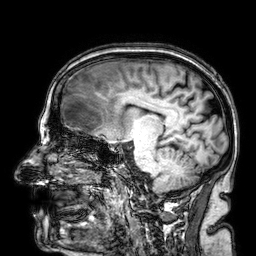
modality:
  type: brain MRI
  field_strength: 3T
series: 3D T1-weighted
study_topic: ring-enhancing brain masses